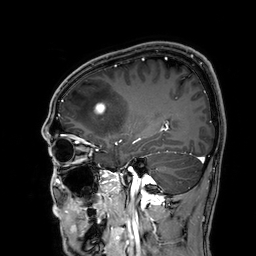
3 Tesla brain MRI. Series: 3D T1-weighted. Study: ring-enhancing brain masses.